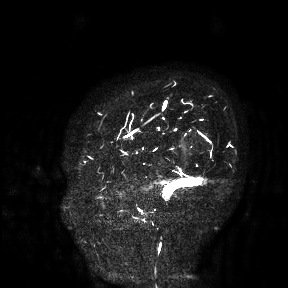
3 Tesla brain MRI. Study: ring-enhancing brain masses.